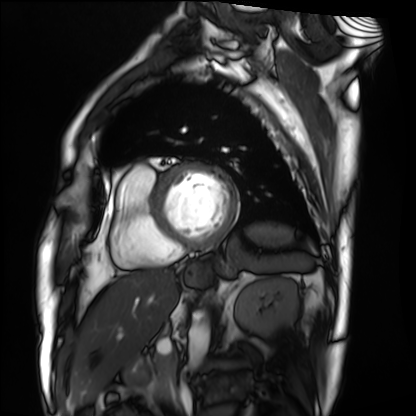
<case>
  <modality>cardiac MRI</modality>
  <cohort>patient</cohort>
</case>